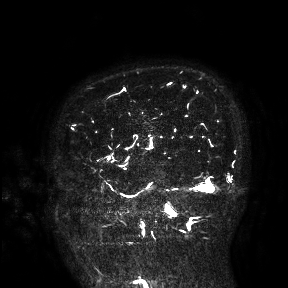
3 Tesla brain MRI. Study: ring-enhancing brain masses.